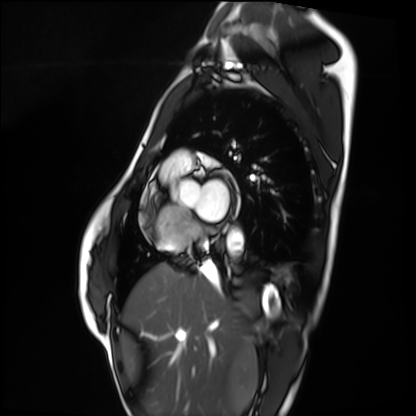
- modality: cardiac MRI
- subject group: healthy volunteer